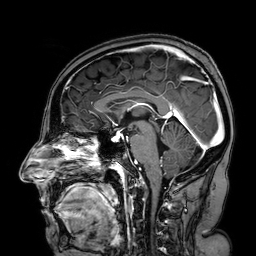
Case:
• modality: 3 Tesla brain MRI
• series: 3D T1-weighted turbo field echo with SENSE
• study: ring-enhancing brain masses